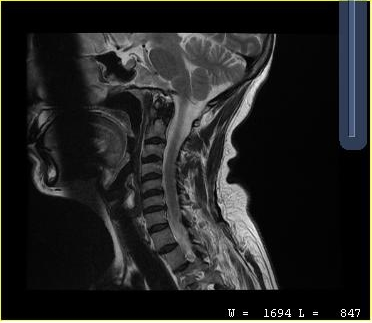
Summary:
MRI of the cervical spine. Study: cervical spondylosis.